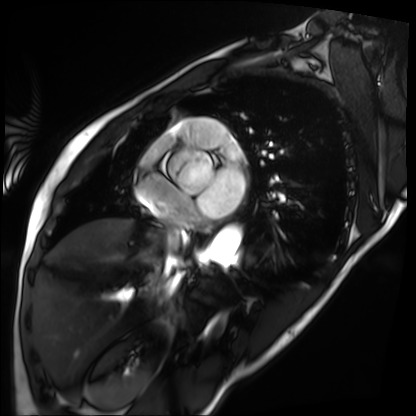
| field | value |
|---|---|
| modality | cardiac MRI |
| subject group | patient |